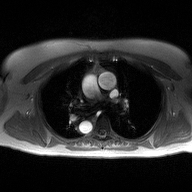
2D phase-contrast cine MRI of the ascending aorta, high-resolution GRAPPA acquisition.